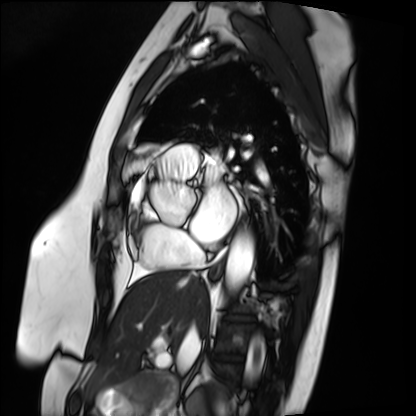
{"modality": "cardiac MRI", "cohort": "patient"}